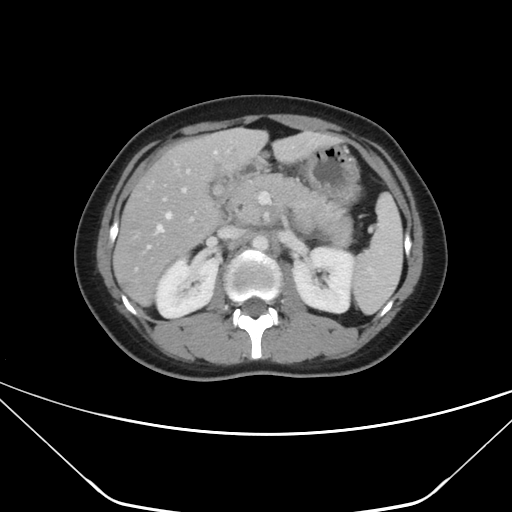
Clinical context:
Multiphase abdominal CT, liver, portal venous phase. Patient: female, age 28. History: prior chemotherapy.